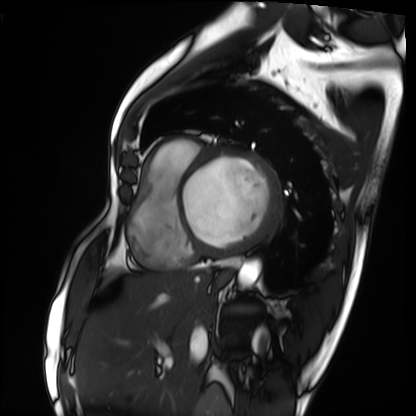
{"modality": "cardiac MRI", "cohort": "patient"}